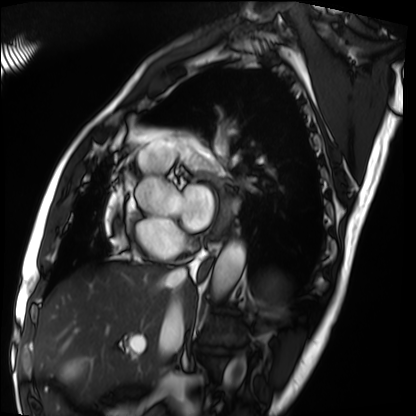
modality: cardiac MRI | subject group: patient.